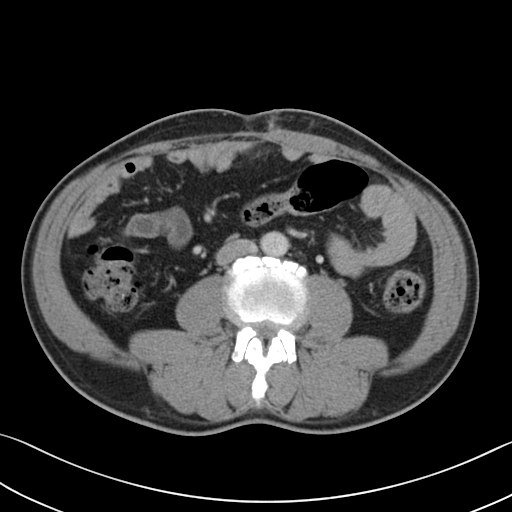
modality:
  type: multiphase abdominal CT
  region: liver
  phase: portal venous
patient:
  sex: male
  age: 58